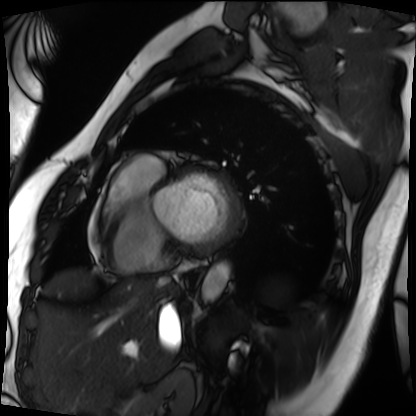
Cardiac MRI. Subject group: patient.